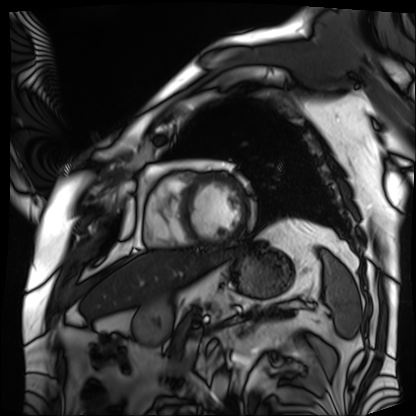
modality: cardiac MRI; subject group: patient.